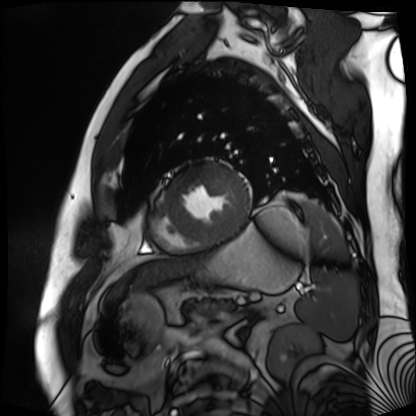
Case summary: Cardiac MR image of the myocardium. Subject cohort: cardiac patient.